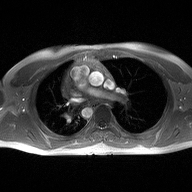
– modality · 2D phase-contrast cine MRI of the ascending aorta